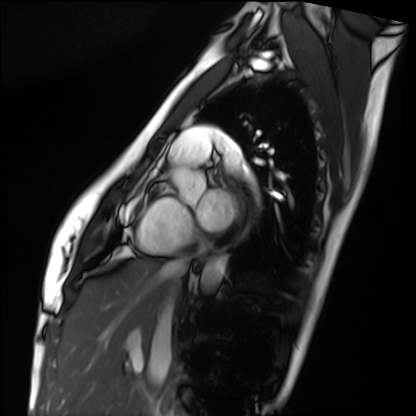
Cardiac MRI.
Subject group: healthy volunteer.